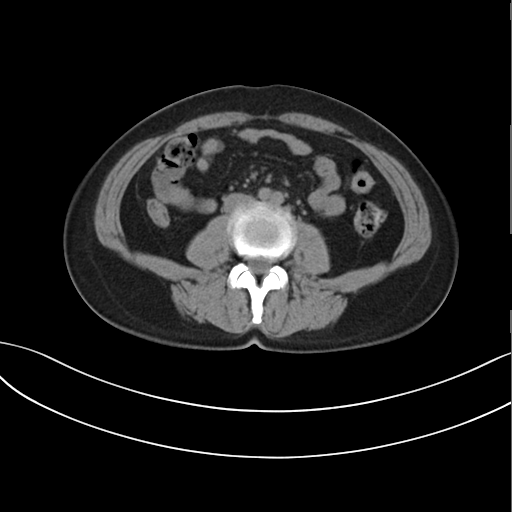
Summary:
Multiphase abdominal CT, liver, non-contrast phase. Patient: female, age 47.